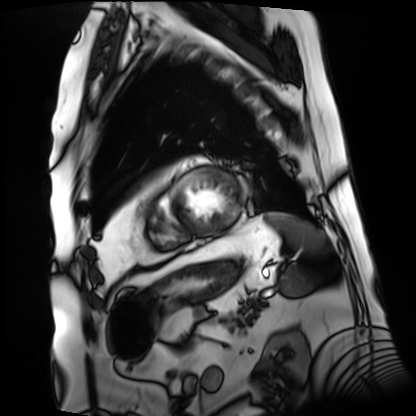
| field | value |
|---|---|
| modality | cardiac MRI |
| subject group | patient |